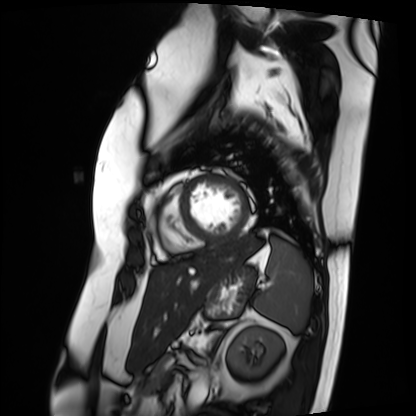
Cardiac MRI. Subject group: patient.